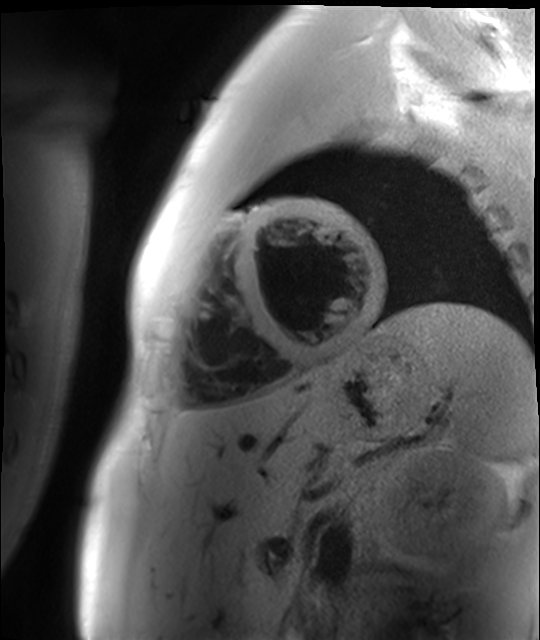
Cardiac MR image of the myocardium. Subject cohort: healthy volunteer.